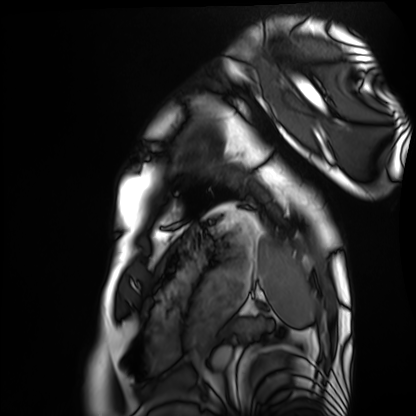
Cardiac MRI. Subject group: healthy volunteer.